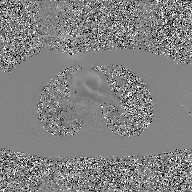
  modality:
    type: 2D phase-contrast cine MRI
    region: ascending aorta
    reconstruction: GAN super-resolution reconstruction